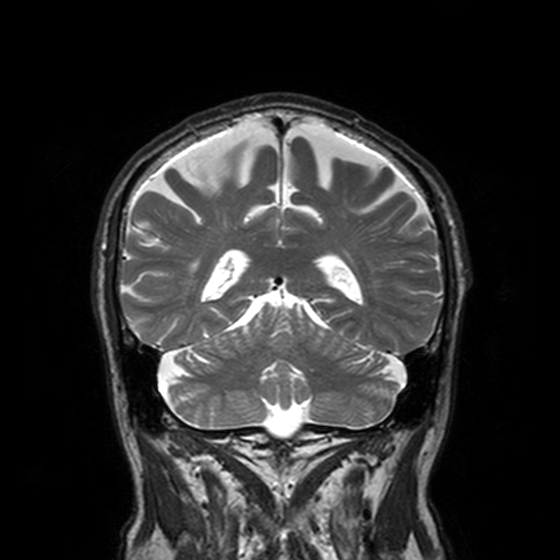
3 Tesla brain MRI. Series: T2-weighted turbo spin echo, 3 mm. Study: ring-enhancing brain masses.